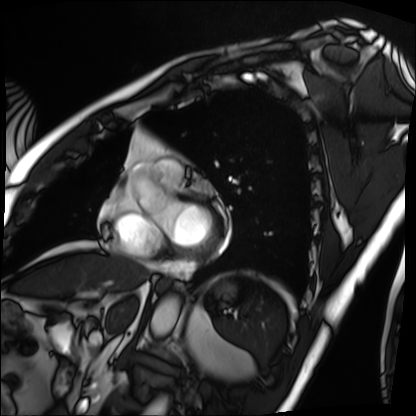
modality = cardiac MRI | subject group = patient.